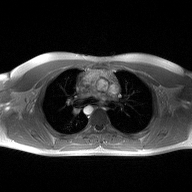
Clinical context:
2D phase-contrast cine MRI of the ascending aorta, high-resolution GRAPPA acquisition.